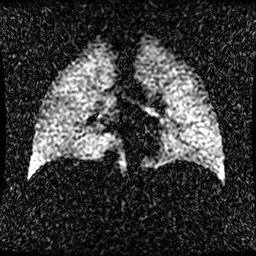
modality=hyperpolarized 129Xe ventilation MRI of the lungs | SNR level=1 of 8 (the deposit holds this scan as its native image and as seven SNR-degraded versions).